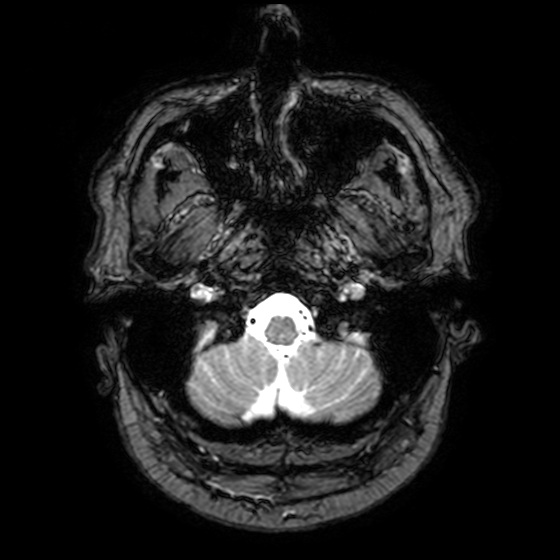
3 Tesla brain MRI.
Series: T2-weighted fast field echo with SENSE.
Study: ring-enhancing brain masses.